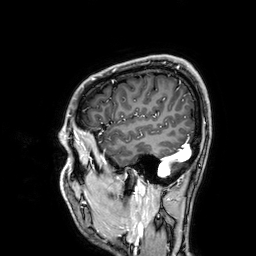
Clinical context:
3 Tesla brain MRI. Series: 3D T1-weighted. Study: ring-enhancing brain masses.